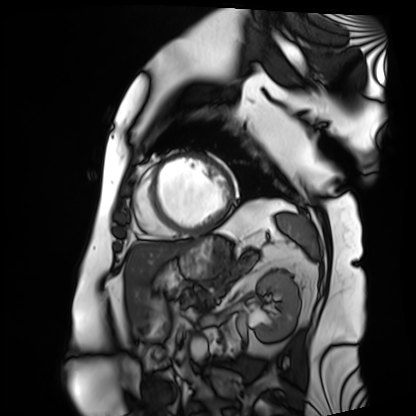
Cardiac MRI. Subject group: patient.